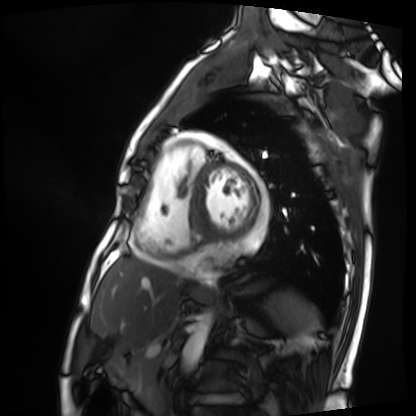
modality=cardiac MRI; subject group=patient.